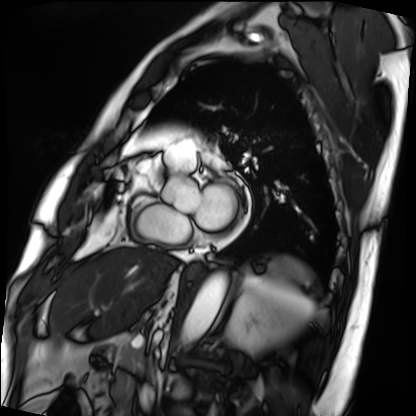
Q: What kind of scan is this?
A: Cardiac MRI.
Subject group: patient.